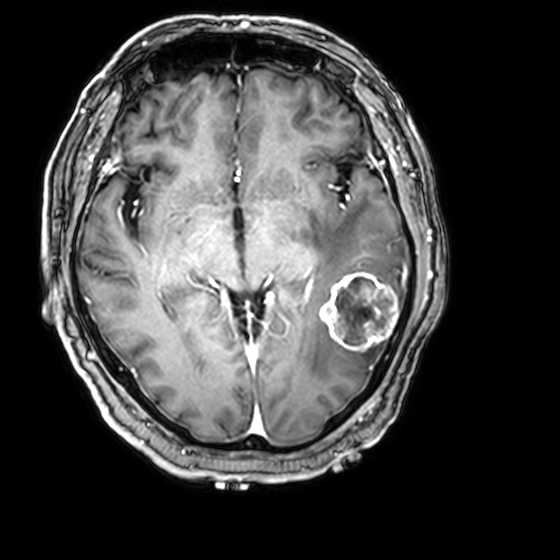
3 Tesla brain MRI.
Series: 3D T1-weighted with CLEAR.
Study: ring-enhancing brain masses.